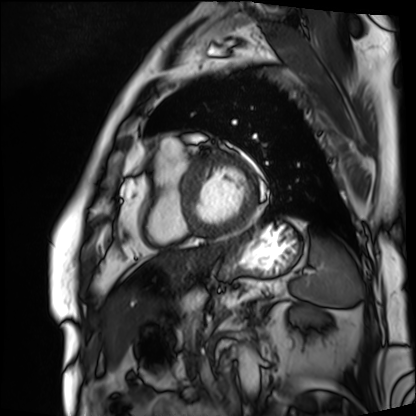
Cardiac MRI. Subject group: patient.